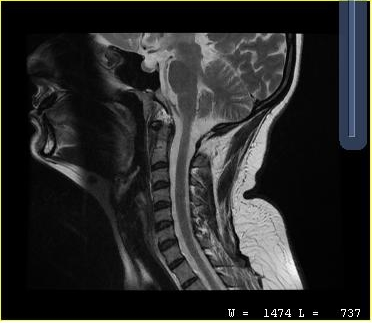
modality: MRI of the cervical spine
study: cervical spondylosis